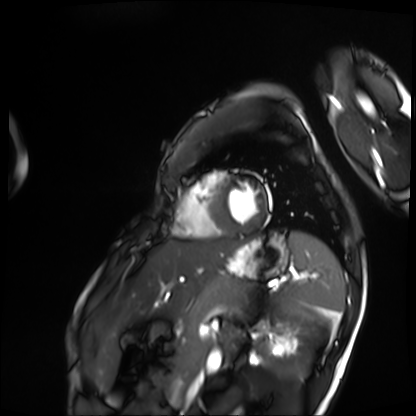
modality = cardiac MRI
subject group = patient